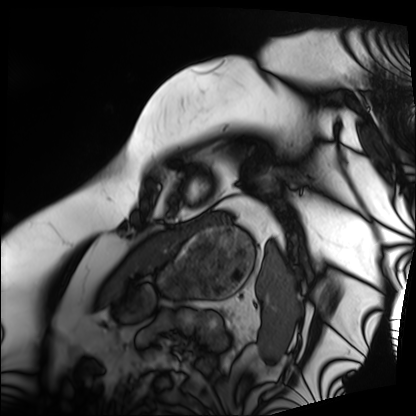
– modality: cardiac MRI
– subject group: patient